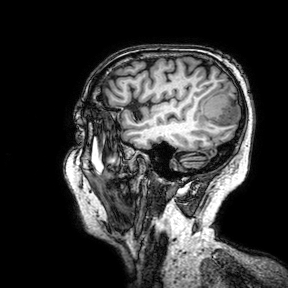
– modality — 3 Tesla brain MRI
– series — 3D T1-weighted turbo field echo with SENSE
– study — ring-enhancing brain masses